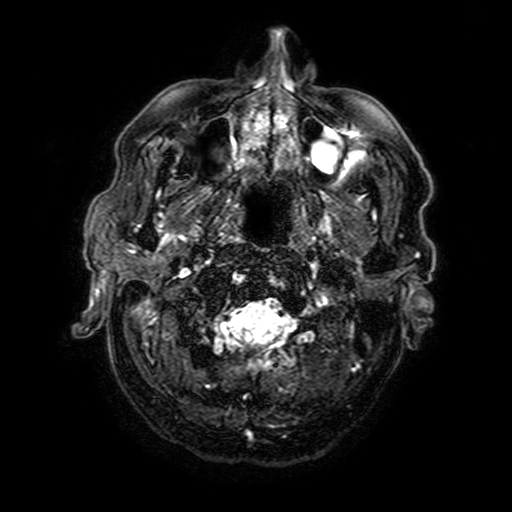
| field | value |
|---|---|
| modality | 3 Tesla brain MRI |
| series | FLAIR with SPAIR, 3 mm |
| study | ring-enhancing brain masses |